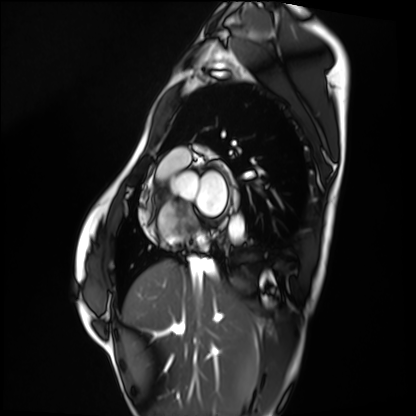
Q: What kind of scan is this?
A: Cardiac MRI.
Subject group: healthy volunteer.